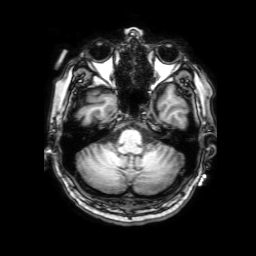
{"modality": {"type": "brain MRI", "field_strength": "3T"}, "study_topic": "ring-enhancing brain masses"}